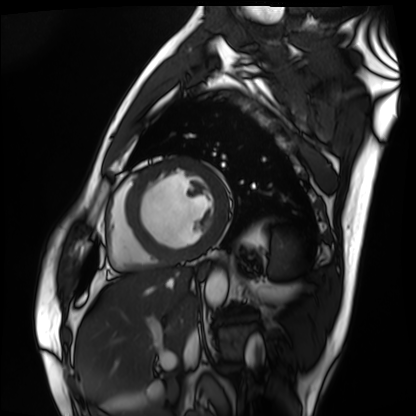
Q: What kind of scan is this?
A: Cardiac MRI.
Subject group: patient.